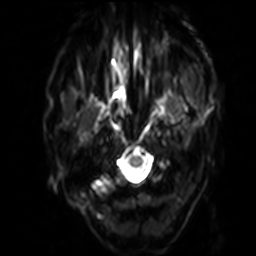
modality=3 Tesla brain MRI | series=diffusion-weighted imaging with SENSE (WIP) | study=ring-enhancing brain masses.